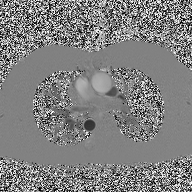
– modality — 2D phase-contrast cine MRI of the ascending aorta